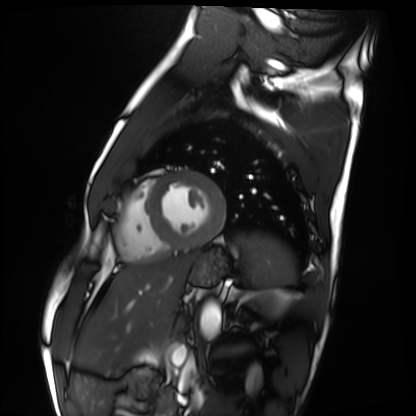
Cardiac MRI. Subject group: healthy volunteer.